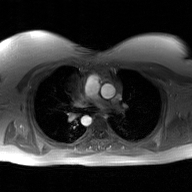
| field | value |
|---|---|
| modality | 2D phase-contrast cine MRI of the ascending aorta, GAN super-resolution reconstruction |